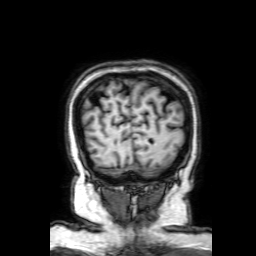
3 Tesla brain MRI. Series: 3D T1-weighted with SENSE. Study: ring-enhancing brain masses.